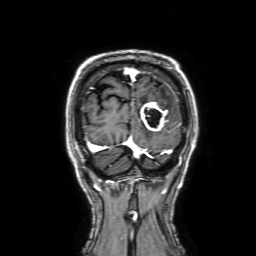
Summary:
3 Tesla brain MRI. Series: 3D T1-weighted with SENSE. Study: ring-enhancing brain masses.